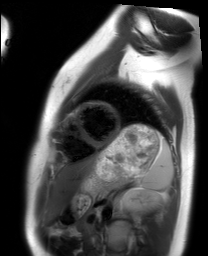
<study>
  <modality>cardiac MRI</modality>
  <cohort>healthy volunteer</cohort>
</study>